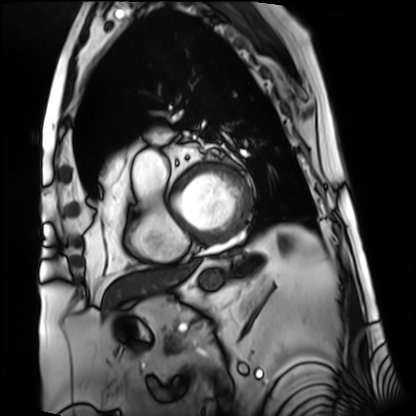
Summary:
Cardiac MRI. Subject group: patient.